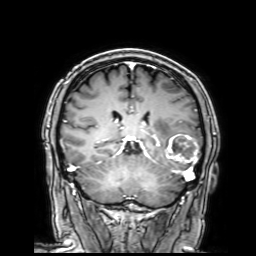
Case:
– modality: 3 Tesla brain MRI
– series: 3D T1-weighted with SENSE
– study: ring-enhancing brain masses